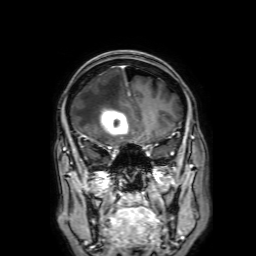
- modality — 3 Tesla brain MRI
- series — 3D T1-weighted with SENSE
- study — ring-enhancing brain masses